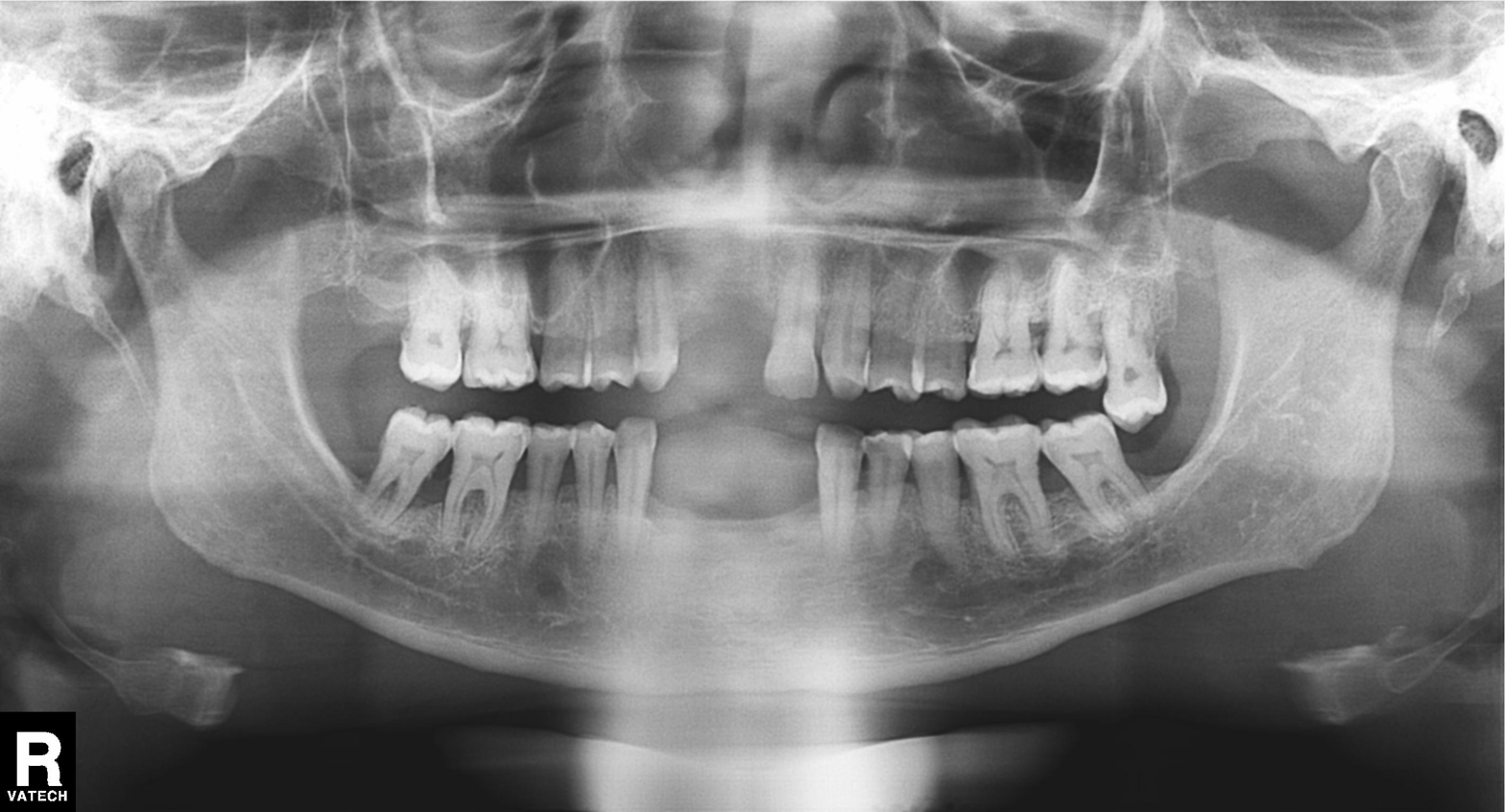
modality: panoramic dental radiograph (orthopantomogram)
finding: tooth impaction